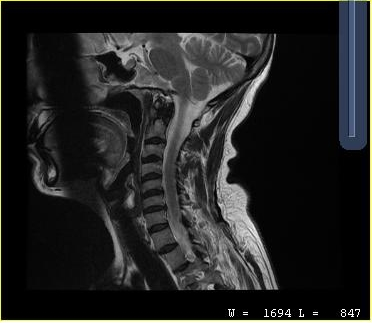
Case:
- modality — MRI of the cervical spine
- study — cervical spondylosis